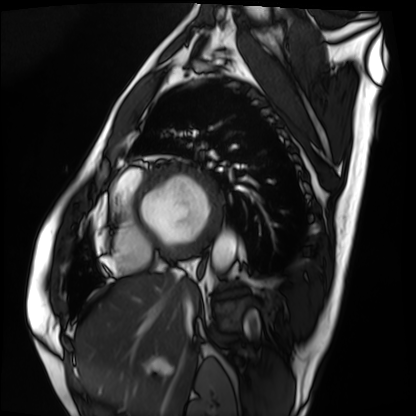
Cardiac MRI. Subject group: patient.